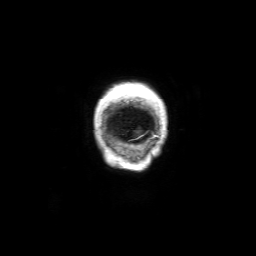
Summary:
3 Tesla brain MRI. Series: 3D T1-weighted with SENSE. Study: ring-enhancing brain masses.